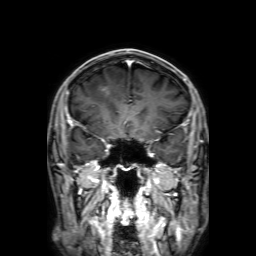
• modality · 3 Tesla brain MRI
• series · 3D T1-weighted with SENSE
• study · ring-enhancing brain masses